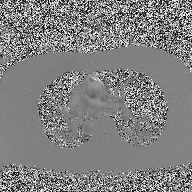
{"modality": {"type": "2D phase-contrast cine MRI", "region": "ascending aorta", "reconstruction": "high-resolution GRAPPA acquisition"}}